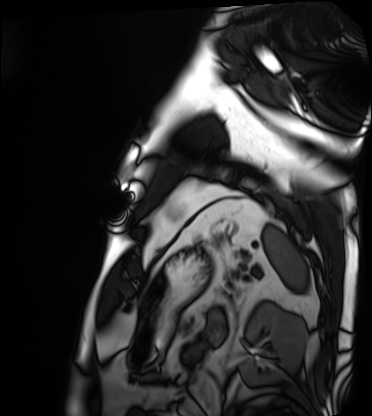
Case summary: Cardiac MRI. Subject group: patient.